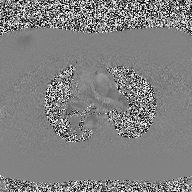
2D phase-contrast cine MRI of the ascending aorta, high-resolution GRAPPA acquisition.